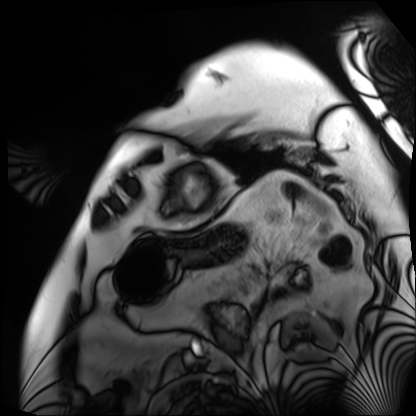
Cardiac MRI.
Subject group: patient.